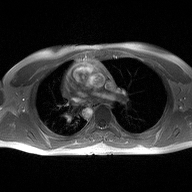
Clinical context: 2D phase-contrast cine MRI of the ascending aorta, high-resolution GRAPPA acquisition.